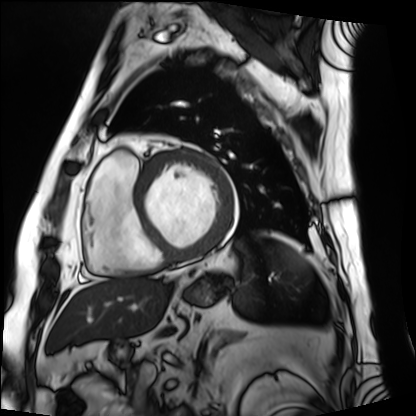
modality=cardiac MRI | subject group=patient.